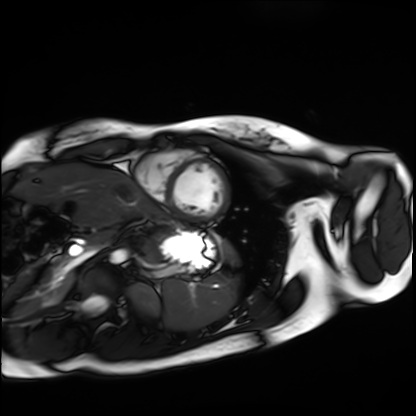
{"modality": "cardiac MRI", "cohort": "healthy volunteer"}